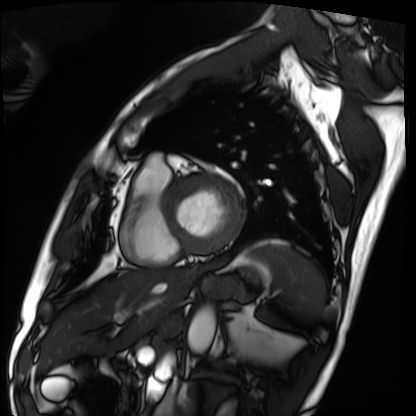
Cardiac MRI. Subject group: patient.